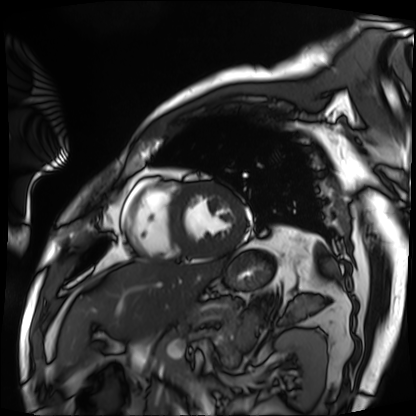
• modality — cardiac MRI
• subject group — patient